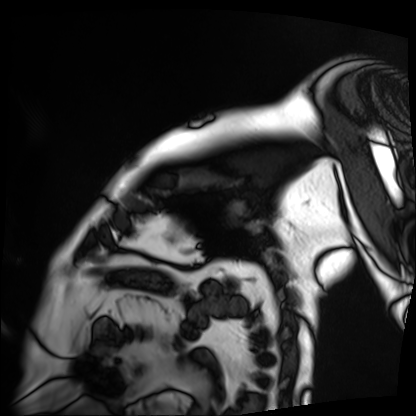
Summary:
Cardiac MRI. Subject group: patient.